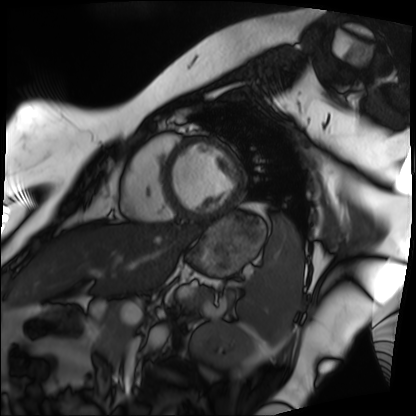
Clinical context:
Cardiac MRI. Subject group: patient.